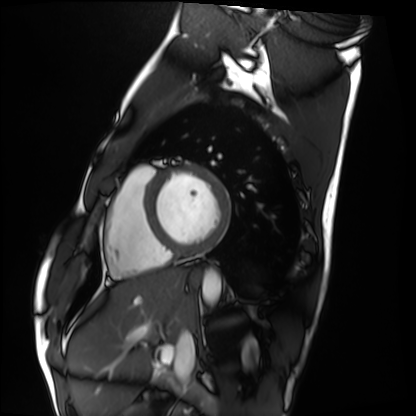
Case summary: Cardiac MRI. Subject group: healthy volunteer.